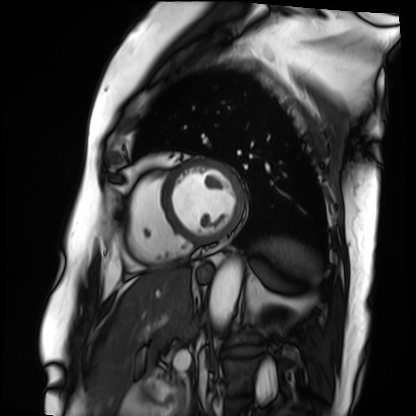
Summary:
Cardiac MRI. Subject group: patient.